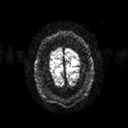
<study>
  <modality>
    <type>brain MRI</type>
    <field_strength>3T</field_strength>
  </modality>
  <series>diffusion tensor imaging (medium iso)</series>
  <study_topic>ring-enhancing brain masses</study_topic>
</study>